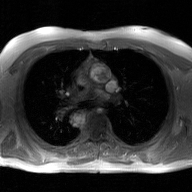
modality = 2D phase-contrast cine MRI of the ascending aorta, GAN super-resolution reconstruction.